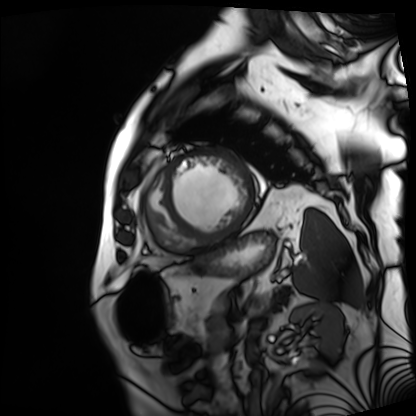
Cardiac MRI.
Subject group: patient.